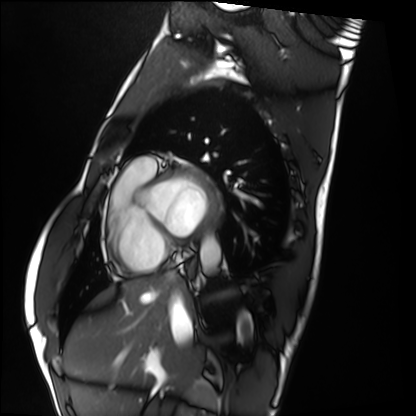
modality: cardiac MRI
subject group: healthy volunteer